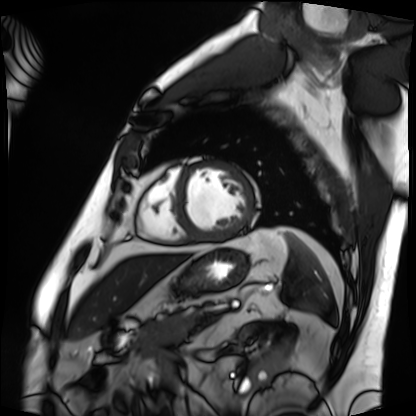
- modality — cardiac MRI
- subject group — patient